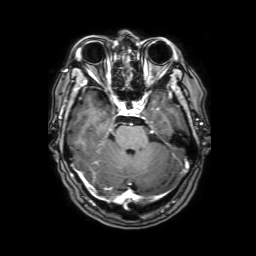
* modality — 3 Tesla brain MRI
* series — 3D T1-weighted with SENSE
* study — ring-enhancing brain masses